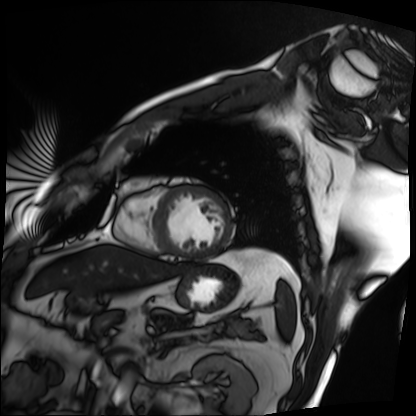
modality: cardiac MRI; subject group: patient.